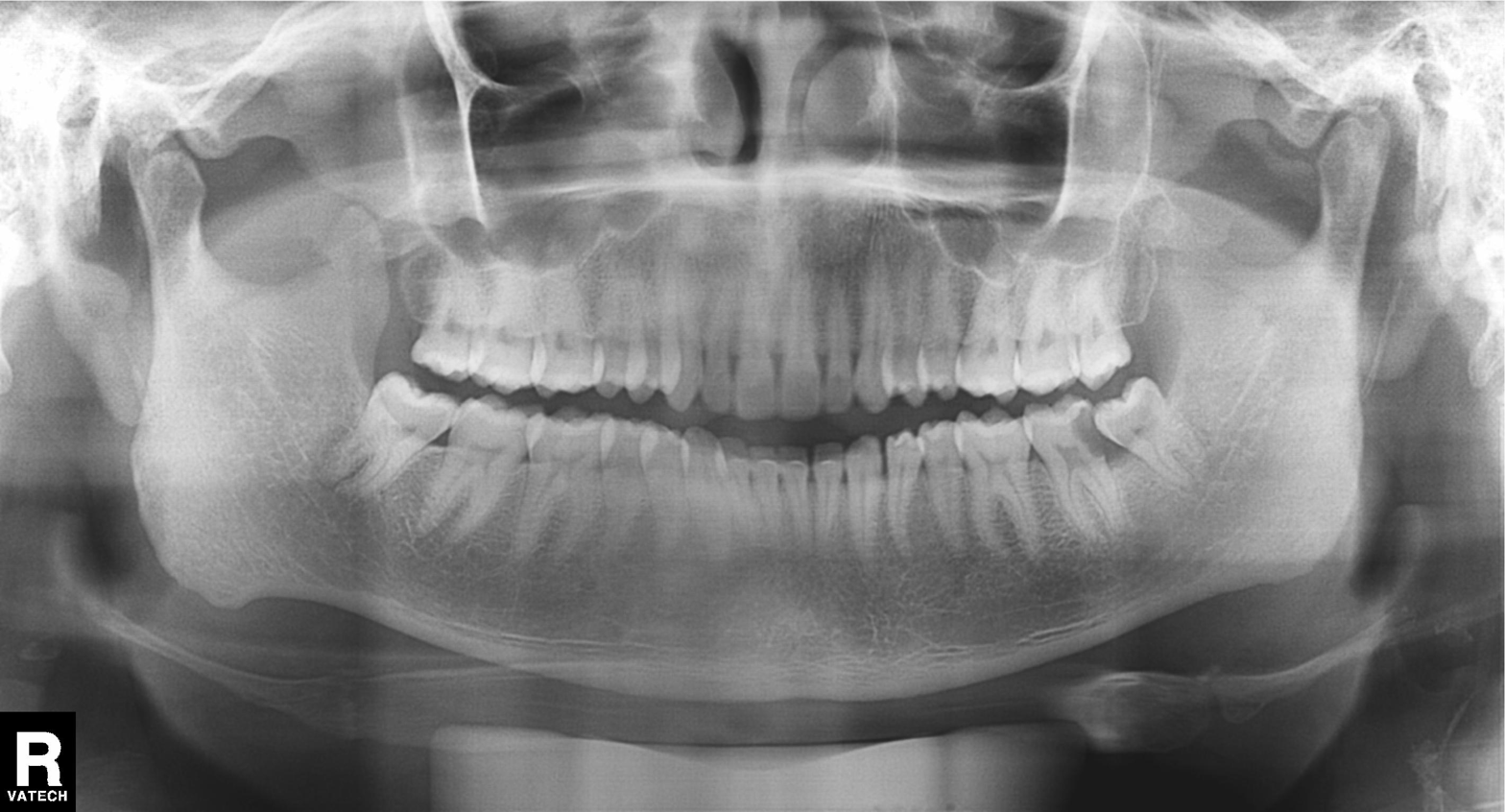
Clinical context:
Panoramic dental radiograph (orthopantomogram).
Diagnosis:
Tooth impaction.